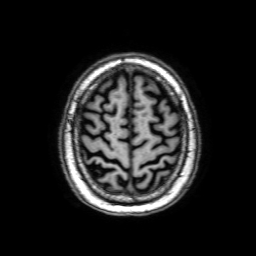
Case summary: 3 Tesla brain MRI. Series: 3D T1-weighted with SENSE. Study: ring-enhancing brain masses.